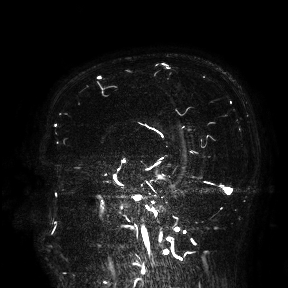
  modality:
    type: brain MRI
    field_strength: 3T
  study_topic: ring-enhancing brain masses